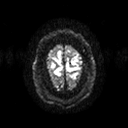
  modality:
    type: brain MRI
    field_strength: 3T
  series: diffusion tensor imaging (medium iso)
  study_topic: ring-enhancing brain masses